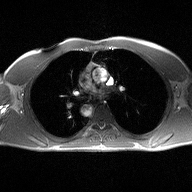
Case:
– modality · 2D phase-contrast cine MRI of the ascending aorta